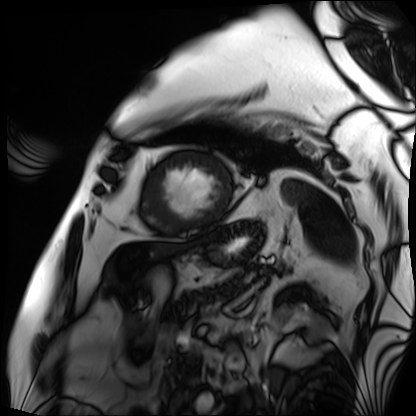
| field | value |
|---|---|
| modality | cardiac MRI |
| subject group | patient |